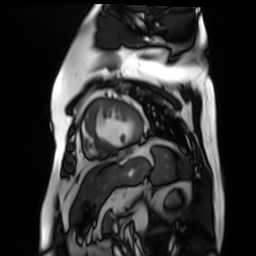
modality: cardiac MR image of the myocardium
subject cohort: cardiac patient